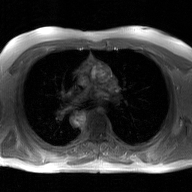
| field | value |
|---|---|
| modality | 2D phase-contrast cine MRI of the ascending aorta, GAN super-resolution reconstruction |